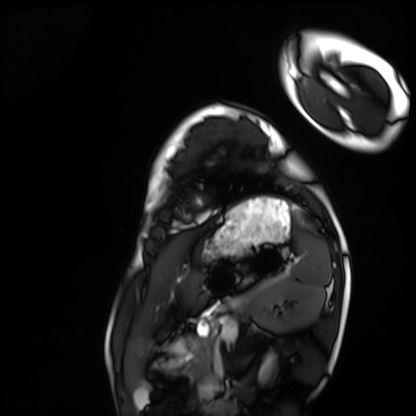
Case:
* modality: cardiac MRI
* subject group: healthy volunteer